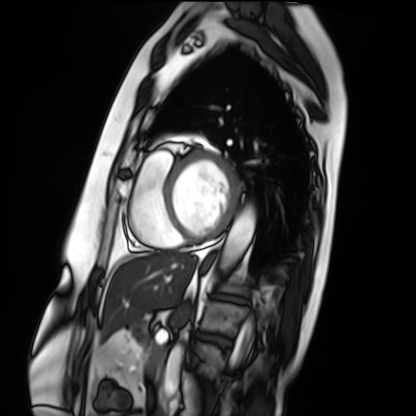
Case:
• modality — cardiac MRI
• subject group — patient